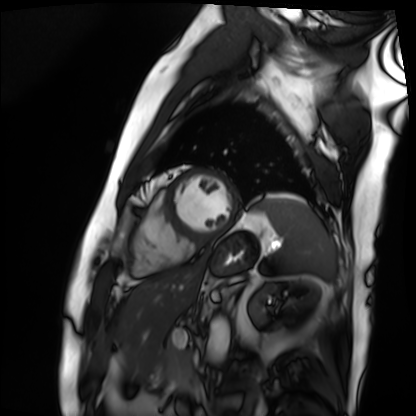
Cardiac MRI. Subject group: patient.